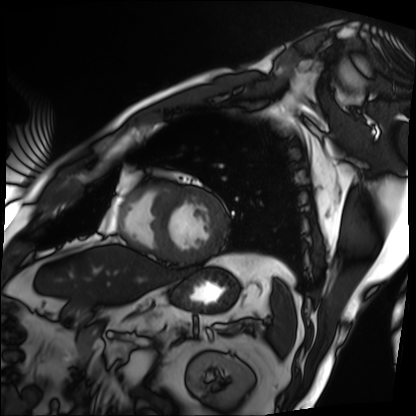
Case summary: Cardiac MRI. Subject group: patient.